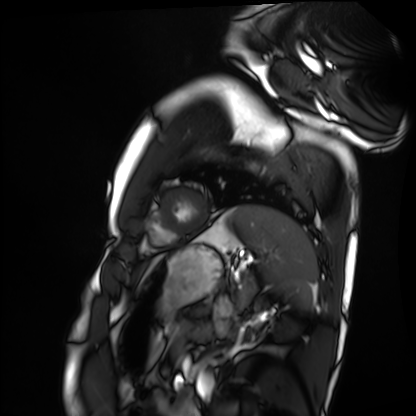
modality = cardiac MRI, subject group = healthy volunteer.